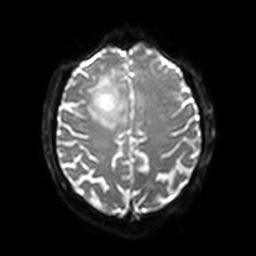
Case summary:
3 Tesla brain MRI. Series: diffusion-weighted imaging with SENSE (WIP). Study: ring-enhancing brain masses.